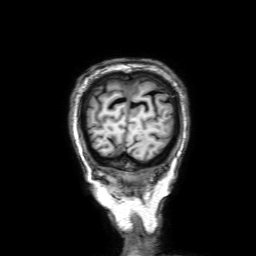
Case summary: 3 Tesla brain MRI. Series: 3D T1-weighted with SENSE. Study: ring-enhancing brain masses.